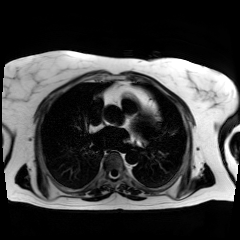
- modality — chemical-shift-encoded cardiac MRI